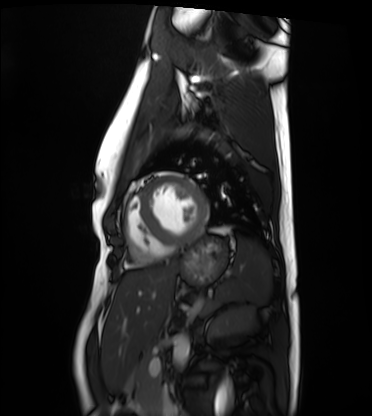
* modality · cardiac MRI
* subject group · healthy volunteer